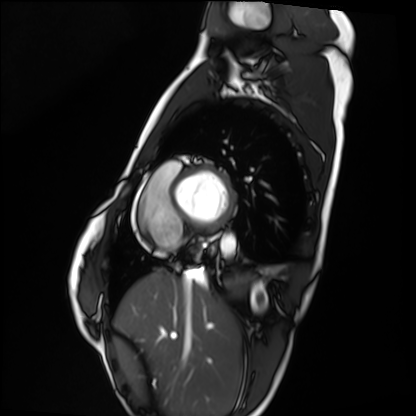
* modality: cardiac MRI
* subject group: healthy volunteer